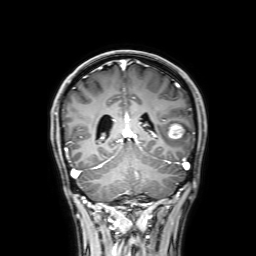
3 Tesla brain MRI. Series: 3D T1-weighted with SENSE. Study: ring-enhancing brain masses.